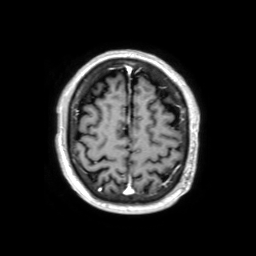
3 Tesla brain MRI. Series: 3D T1-weighted TFE with SENSE. Study: ring-enhancing brain masses.